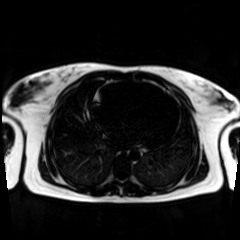
Case:
– modality · chemical-shift-encoded cardiac MRI